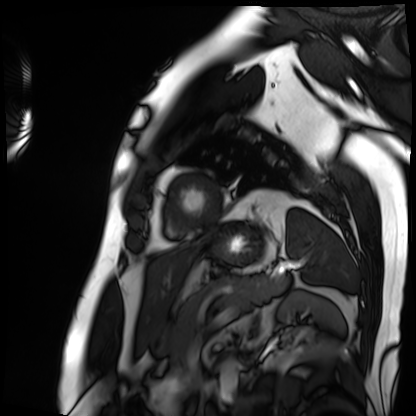
<record>
  <modality>cardiac MRI</modality>
  <cohort>patient</cohort>
</record>